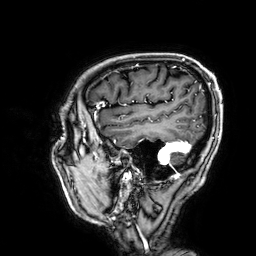
Clinical context: 3 Tesla brain MRI. Series: 3D T1-weighted. Study: ring-enhancing brain masses.